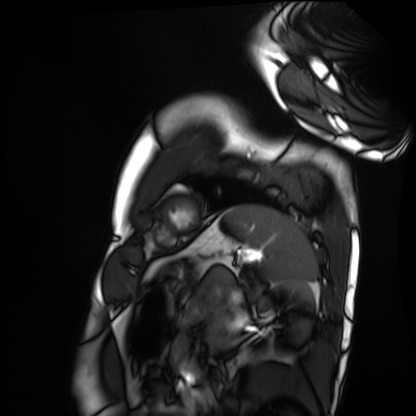
<record>
  <modality>cardiac MRI</modality>
  <cohort>healthy volunteer</cohort>
</record>